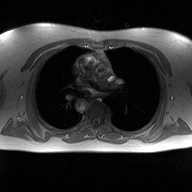
| field | value |
|---|---|
| modality | 2D phase-contrast cine MRI of the ascending aorta |